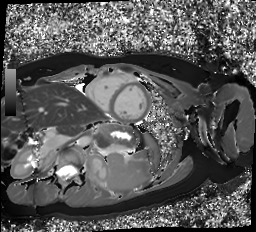
modality: cardiac MR image of the myocardium
cohort: healthy volunteer